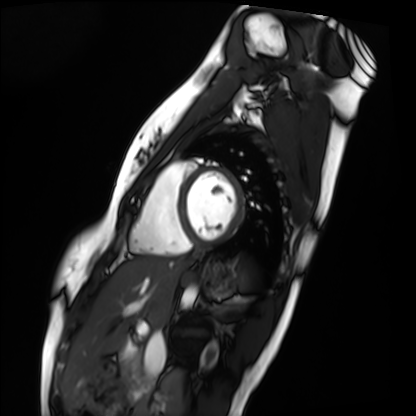
Cardiac MRI. Subject group: healthy volunteer.